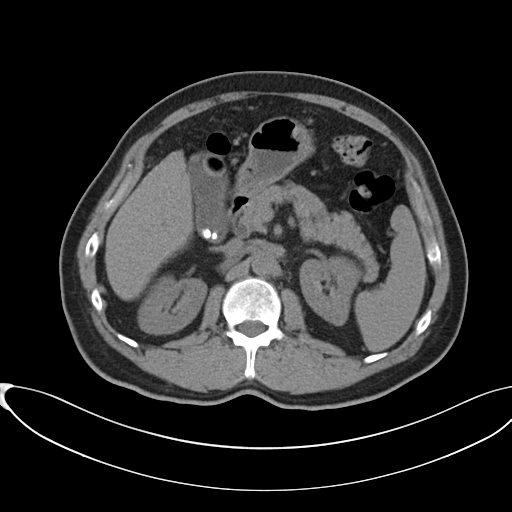
Multiphase abdominal CT, liver, non-contrast phase.
Patient: male, age 60.
History: cirrhosis, viral hepatitis.